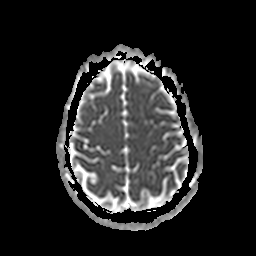
modality: 3 Tesla brain MRI | study: ring-enhancing brain masses.